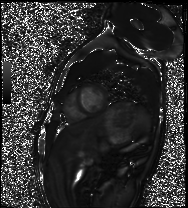
Cardiac MRI.
Subject group: healthy volunteer.